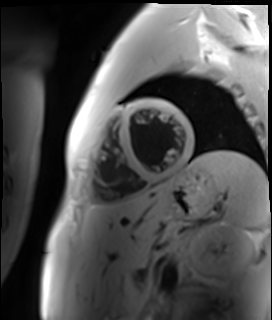
modality: cardiac MR image of the myocardium
subject cohort: healthy volunteer